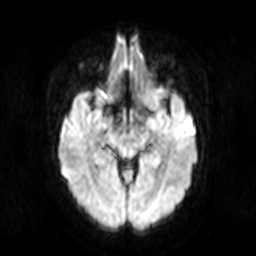
{"modality": {"type": "brain MRI", "field_strength": "3T"}, "series": "diffusion-weighted imaging", "study_topic": "ring-enhancing brain masses"}